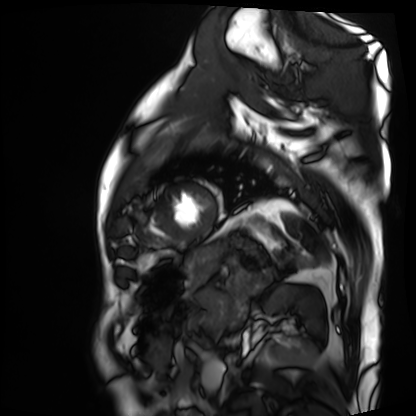
Cardiac MRI.
Subject group: patient.